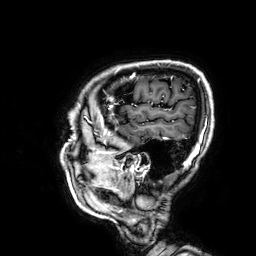
Summary: 3 Tesla brain MRI. Series: 3D T1-weighted. Study: ring-enhancing brain masses.